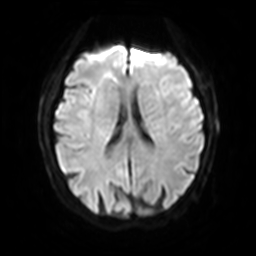
Q: What kind of scan is this?
A: 3 Tesla brain MRI.
Q: Series?
A: Diffusion-weighted imaging with SENSE (WIP).
Study: ring-enhancing brain masses.